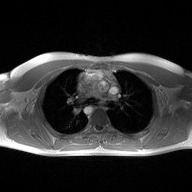
• modality: 2D phase-contrast cine MRI of the ascending aorta